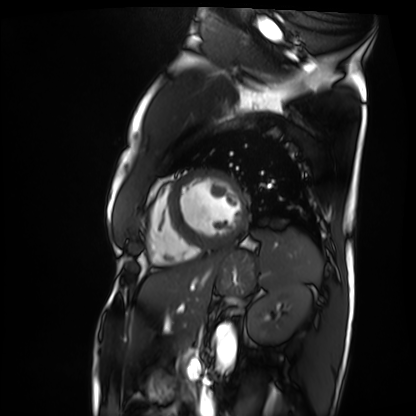
Summary: Cardiac MRI. Subject group: patient.